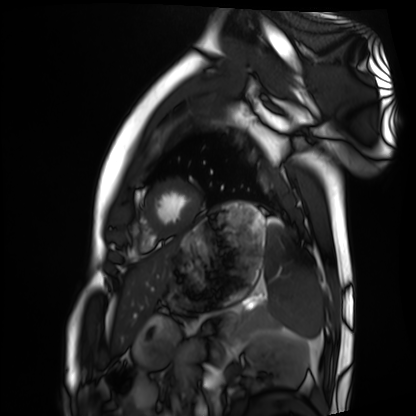
modality — cardiac MRI
subject group — healthy volunteer